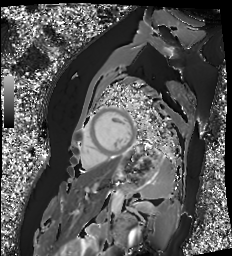
Cardiac MR image of the myocardium. Subject cohort: healthy volunteer.